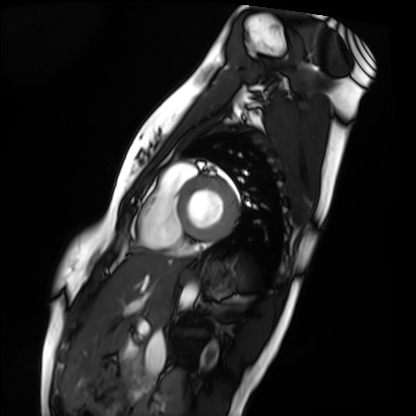
  modality: cardiac MRI
  cohort: healthy volunteer